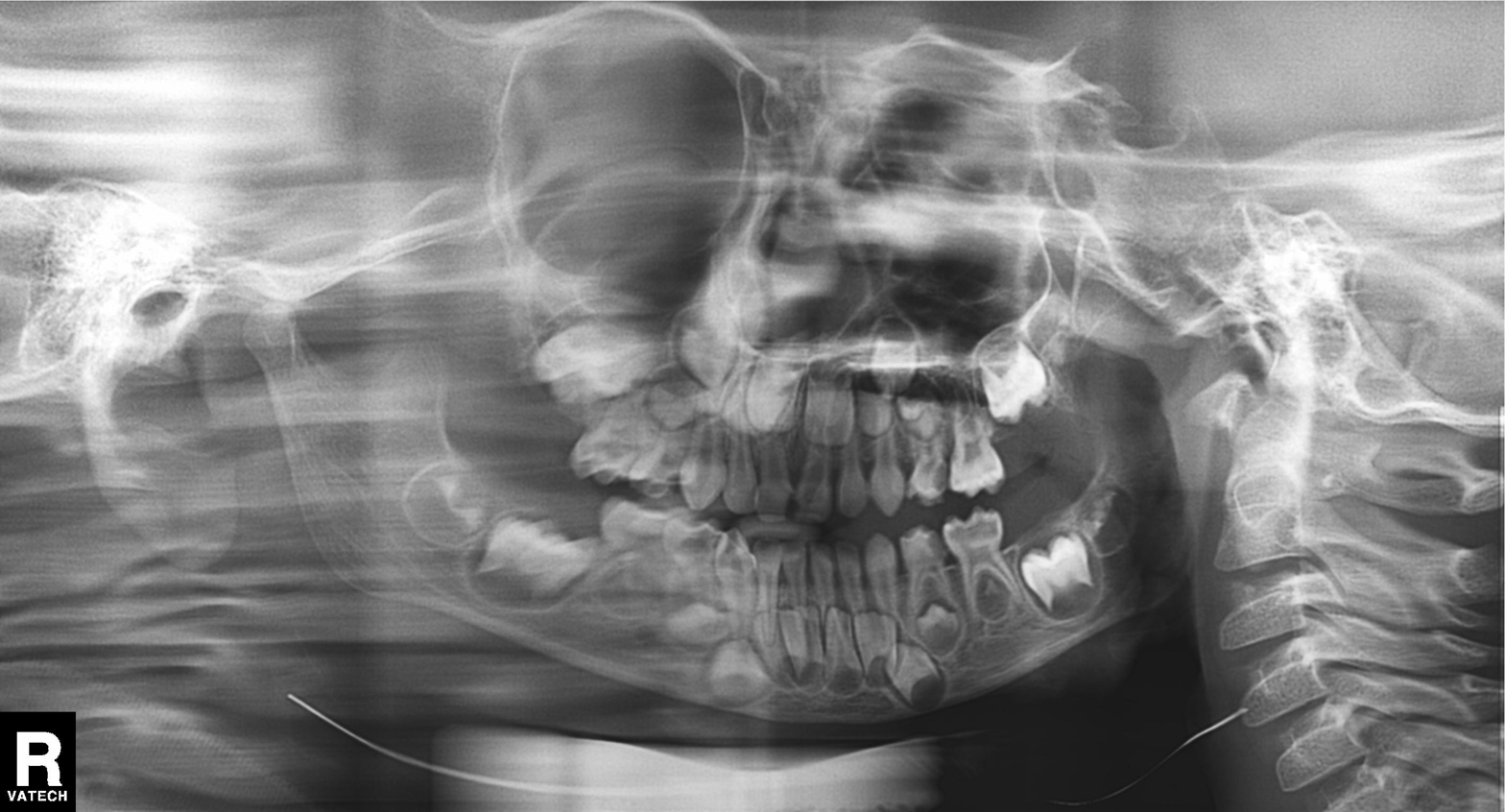
Case:
– modality: panoramic dental radiograph (orthopantomogram)
– finding: tooth impaction